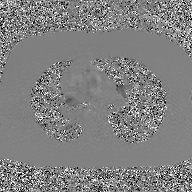
2D phase-contrast cine MRI of the ascending aorta, GAN super-resolution reconstruction.